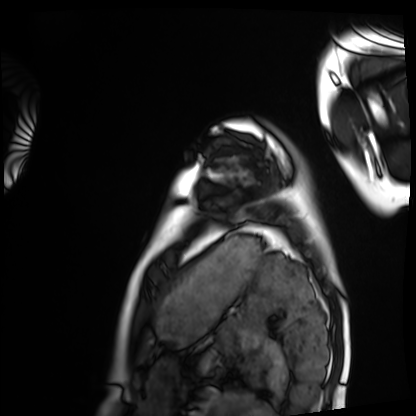
modality = cardiac MRI; subject group = healthy volunteer.